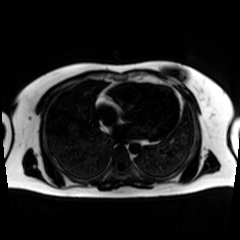
* modality · chemical-shift-encoded cardiac MRI